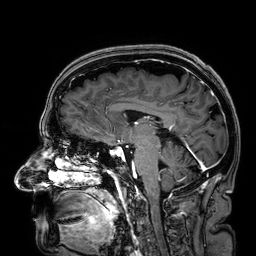
3 Tesla brain MRI.
Series: 3D T1-weighted.
Study: ring-enhancing brain masses.